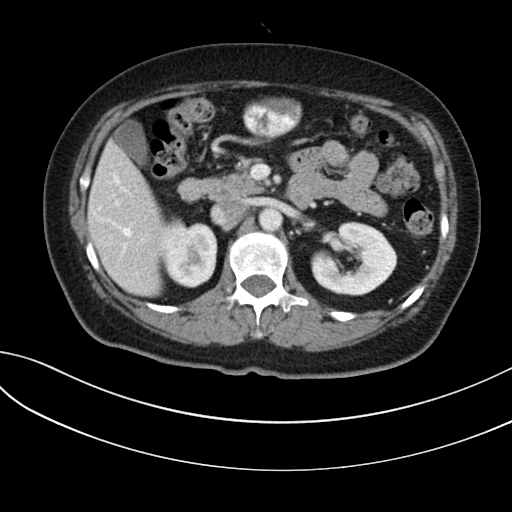
| field | value |
|---|---|
| modality | multiphase abdominal CT, liver, portal venous phase |
| patient | female, age 59 |